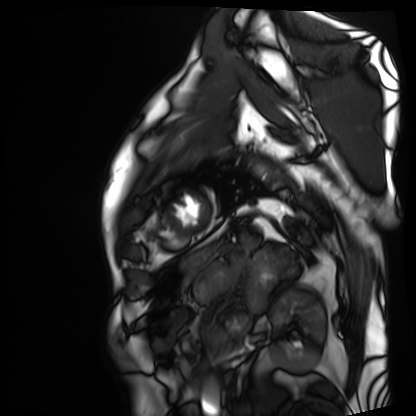
Q: What kind of scan is this?
A: Cardiac MRI.
Subject group: patient.